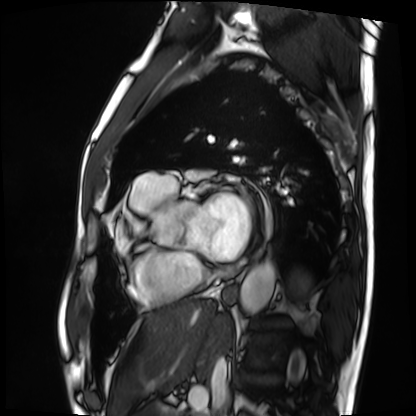
| field | value |
|---|---|
| modality | cardiac MRI |
| subject group | patient |